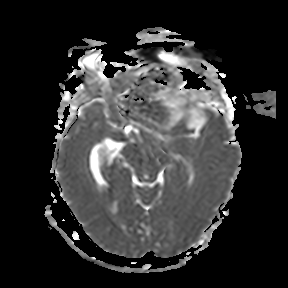
Case:
- modality — 3 Tesla brain MRI
- series — apparent diffusion coefficient (ADC) map
- study — ring-enhancing brain masses